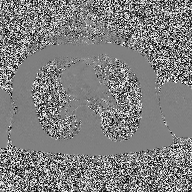
• modality · 2D phase-contrast cine MRI of the ascending aorta